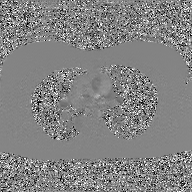
2D phase-contrast cine MRI of the ascending aorta, GAN super-resolution reconstruction.